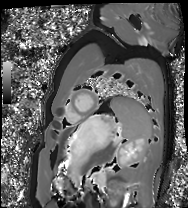
Case:
• modality: cardiac MRI
• subject group: healthy volunteer